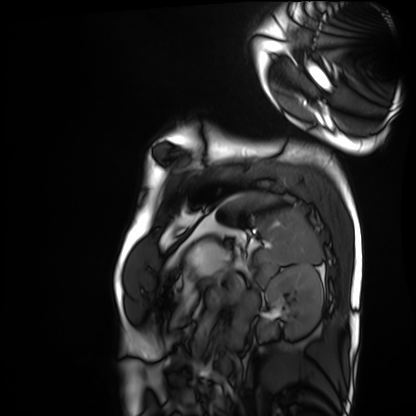
modality: cardiac MRI | subject group: healthy volunteer.